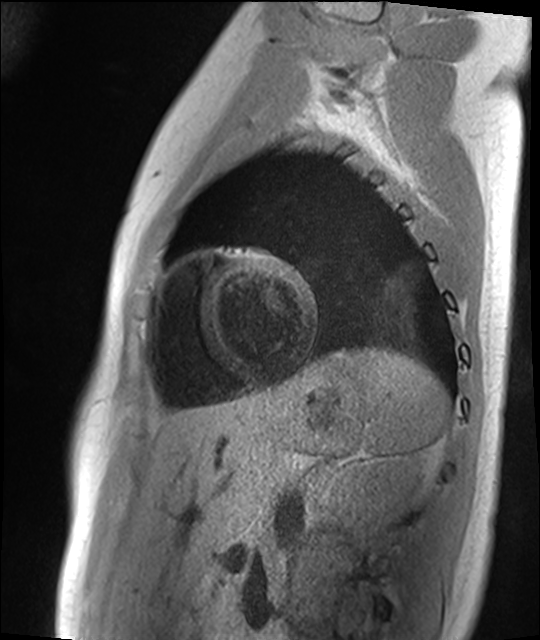
modality: cardiac MR image of the myocardium; subject cohort: healthy volunteer.